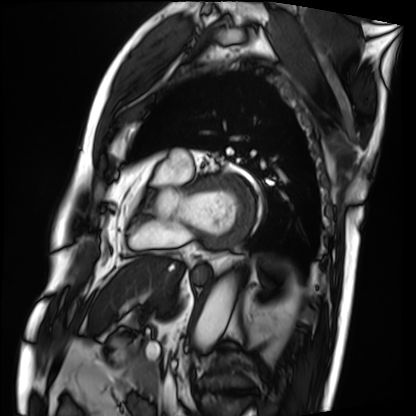
Q: What kind of scan is this?
A: Cardiac MRI.
Subject group: patient.